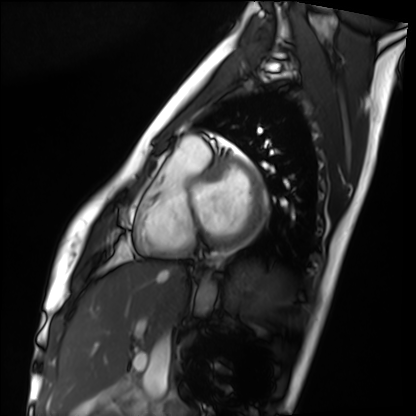
Cardiac MRI.
Subject group: healthy volunteer.